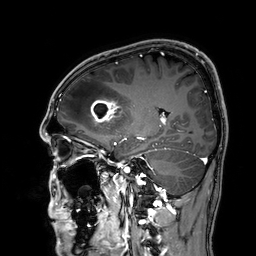
{"modality": {"type": "brain MRI", "field_strength": "3T"}, "series": "3D T1-weighted", "study_topic": "ring-enhancing brain masses"}